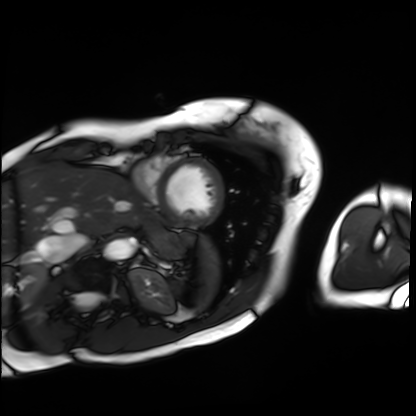
Cardiac MRI.
Subject group: patient.